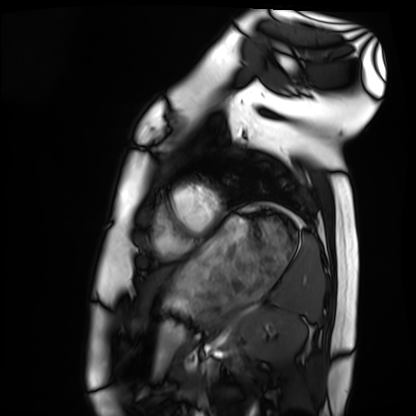
Cardiac MRI. Subject group: healthy volunteer.